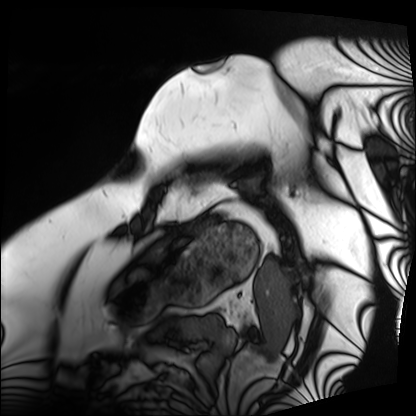
<record>
  <modality>cardiac MRI</modality>
  <cohort>patient</cohort>
</record>